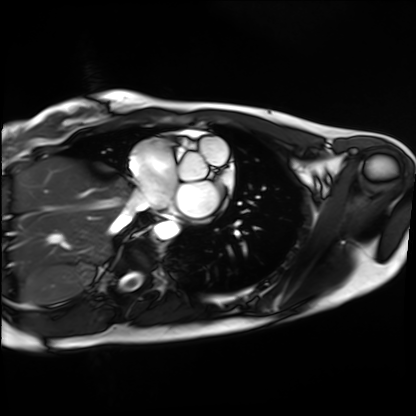
Clinical context: Cardiac MRI. Subject group: healthy volunteer.